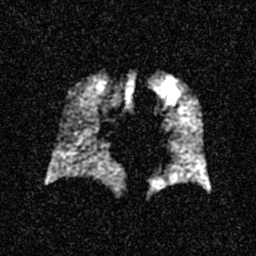
modality: hyperpolarized 129Xe ventilation MRI of the lungs.